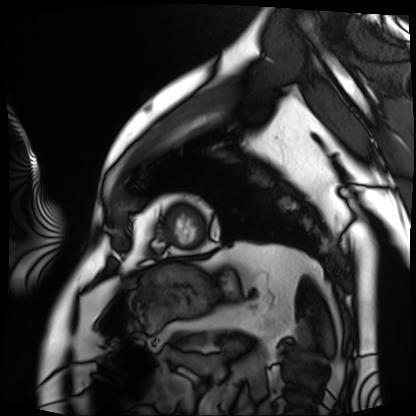
Cardiac MRI.
Subject group: patient.